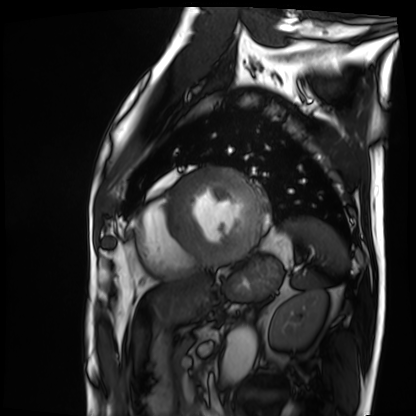
modality=cardiac MRI
subject group=patient